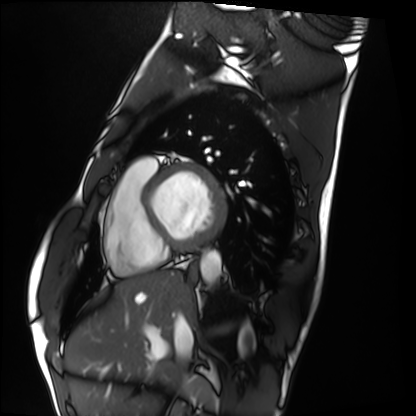
Case summary: Cardiac MRI. Subject group: healthy volunteer.